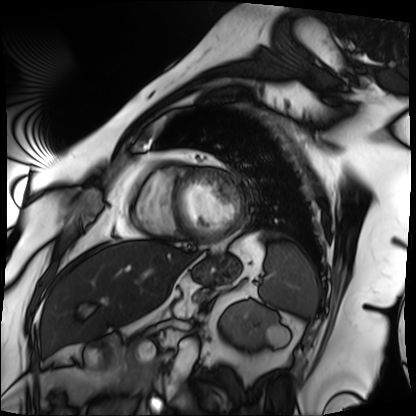
modality = cardiac MRI
subject group = patient